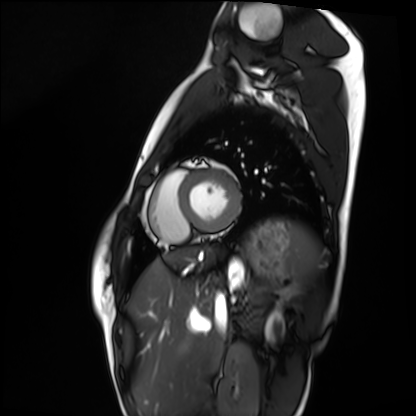
Q: What kind of scan is this?
A: Cardiac MRI.
Subject group: healthy volunteer.